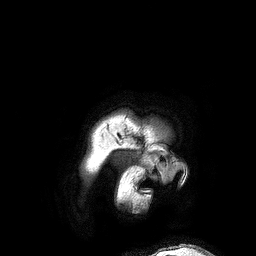
<record>
  <modality>
    <type>brain MRI</type>
    <field_strength>3T</field_strength>
  </modality>
  <series>3D T1-weighted turbo field echo</series>
  <study_topic>ring-enhancing brain masses</study_topic>
</record>